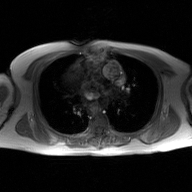
2D phase-contrast cine MRI of the ascending aorta, GAN super-resolution reconstruction.